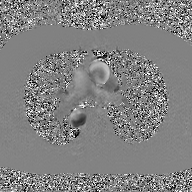
2D phase-contrast cine MRI of the ascending aorta, GAN super-resolution reconstruction.